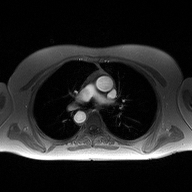
Summary:
2D phase-contrast cine MRI of the ascending aorta, high-resolution GRAPPA acquisition.